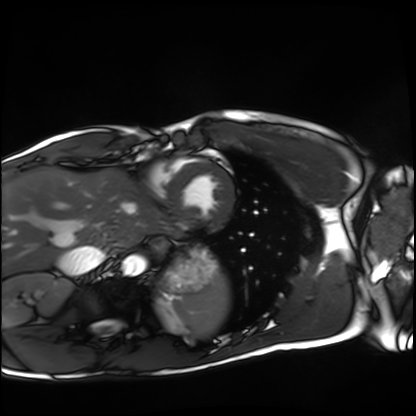
Q: What kind of scan is this?
A: Cardiac MRI.
Subject group: healthy volunteer.